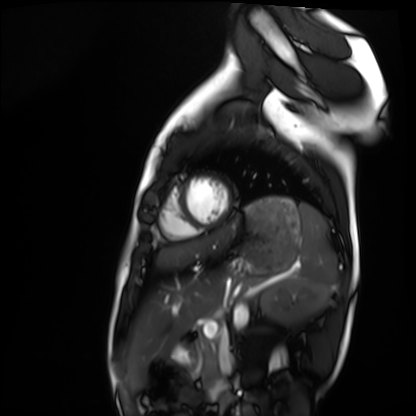
Cardiac MRI. Subject group: healthy volunteer.